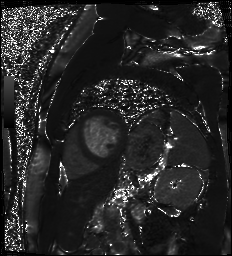
modality = cardiac MR image of the myocardium
subject cohort = cardiac patient